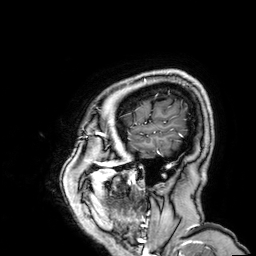
Summary: 3 Tesla brain MRI. Series: 3D T1-weighted. Study: ring-enhancing brain masses.